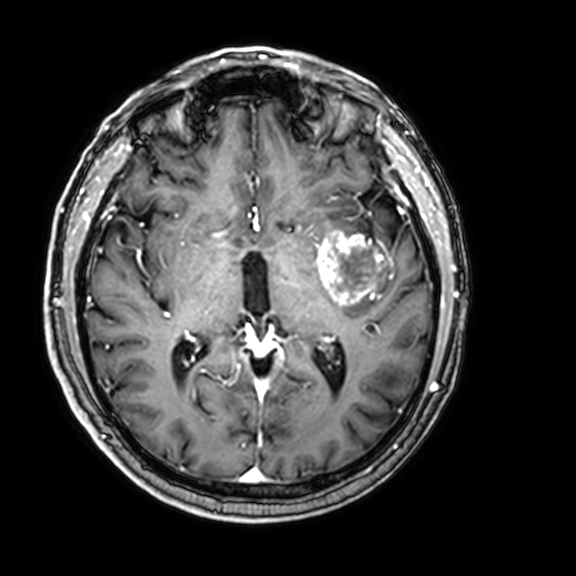
modality:
  type: brain MRI
  field_strength: 3T
series: 3D T1-weighted with CLEAR
study_topic: ring-enhancing brain masses